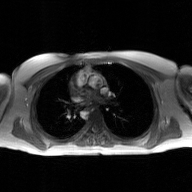
Case:
- modality: 2D phase-contrast cine MRI of the ascending aorta, GAN super-resolution reconstruction